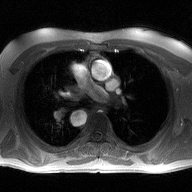
2D phase-contrast cine MRI of the ascending aorta, high-resolution GRAPPA acquisition.